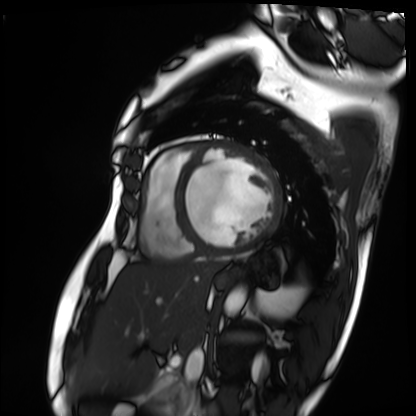
Cardiac MRI.
Subject group: patient.